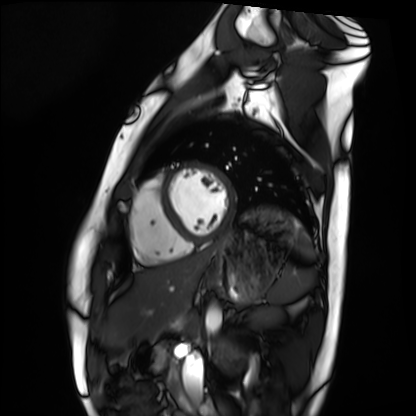
  modality: cardiac MRI
  cohort: healthy volunteer